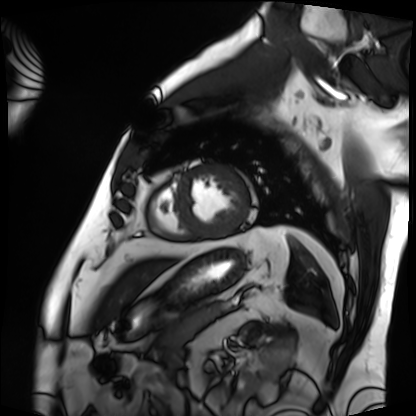
| field | value |
|---|---|
| modality | cardiac MRI |
| subject group | patient |